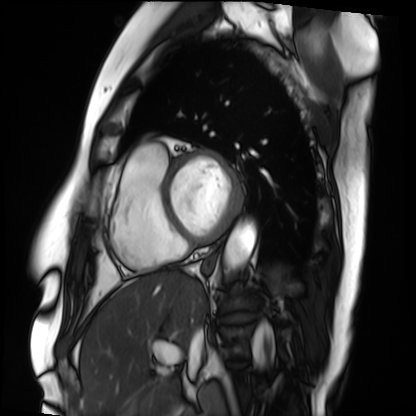
Summary: Cardiac MRI. Subject group: patient.